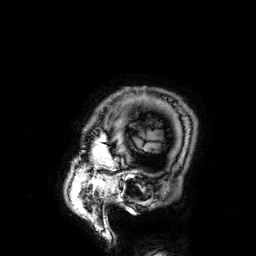
Case:
• modality · 3 Tesla brain MRI
• series · 3D T1-weighted
• study · ring-enhancing brain masses